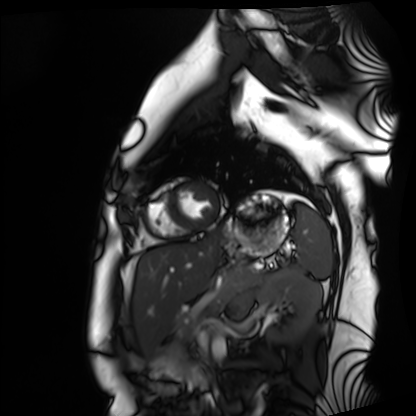
Q: What kind of scan is this?
A: Cardiac MRI.
Subject group: healthy volunteer.